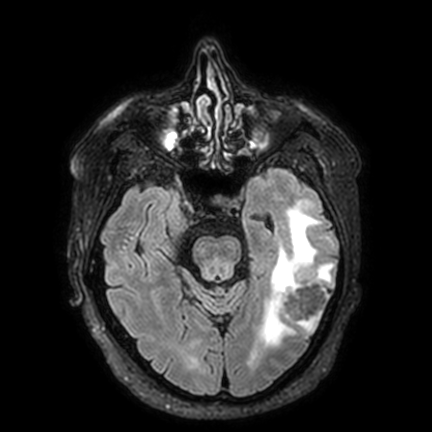
Q: What kind of scan is this?
A: 3 Tesla brain MRI.
Q: Series?
A: FLAIR VISTA with SENSE.
Study: ring-enhancing brain masses.